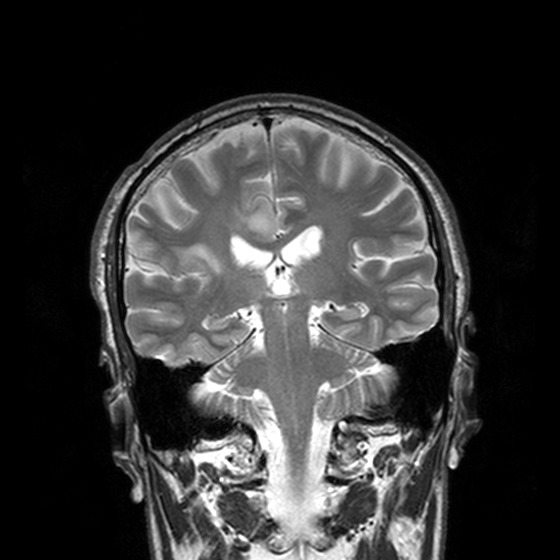
Case summary:
3 Tesla brain MRI. Series: T2-weighted turbo spin echo, 3 mm. Study: ring-enhancing brain masses.